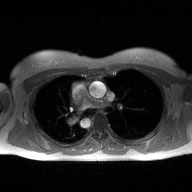
2D phase-contrast cine MRI of the ascending aorta, high-resolution GRAPPA acquisition.